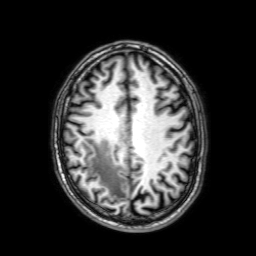
- modality · 3 Tesla brain MRI
- series · 3D T1-weighted with SENSE
- study · ring-enhancing brain masses